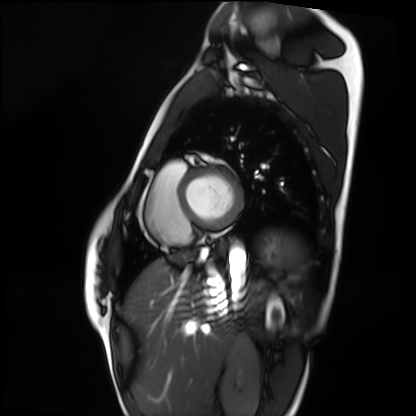
Clinical context: Cardiac MRI. Subject group: healthy volunteer.